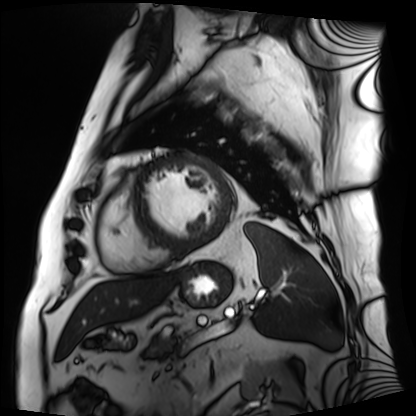
{"modality": "cardiac MRI", "cohort": "patient"}